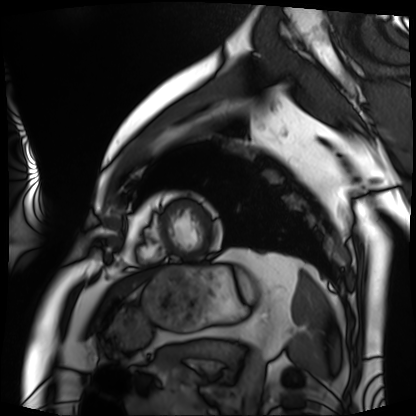
<case>
  <modality>cardiac MRI</modality>
  <cohort>patient</cohort>
</case>